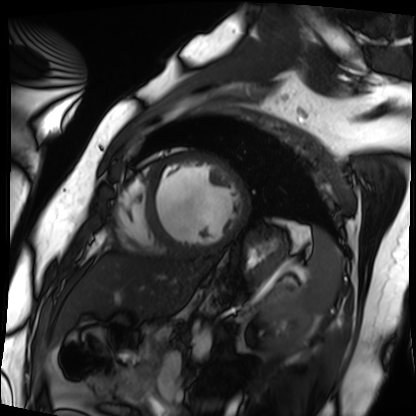
Cardiac MRI. Subject group: patient.